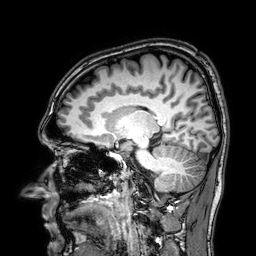
modality = 3 Tesla brain MRI
series = 3D T1-weighted
study = ring-enhancing brain masses